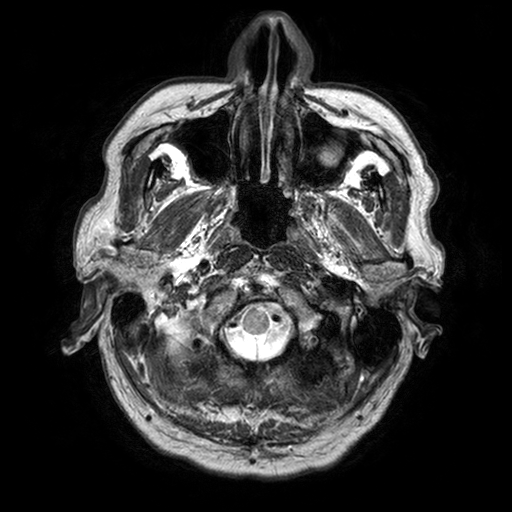
3 Tesla brain MRI.
Study: ring-enhancing brain masses.